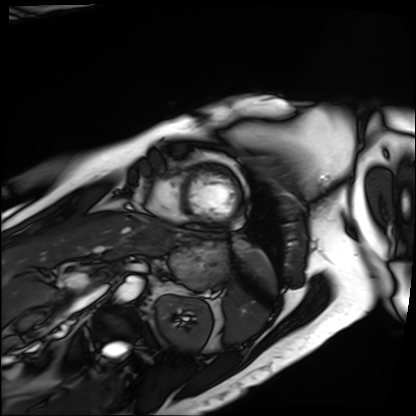
Q: What kind of scan is this?
A: Cardiac MRI.
Subject group: patient.